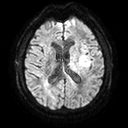
3 Tesla brain MRI. Series: diffusion tensor imaging (medium iso). Study: ring-enhancing brain masses.